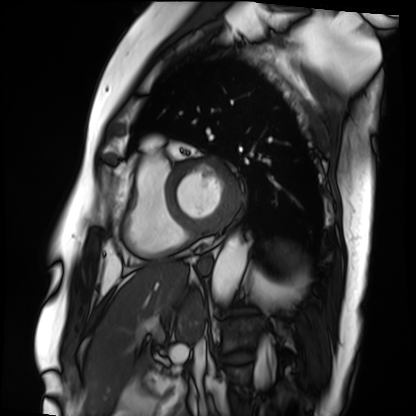
Cardiac MRI. Subject group: patient.